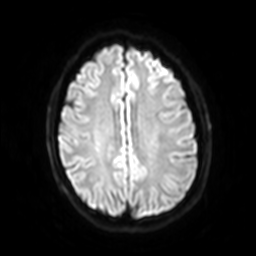
Q: What kind of scan is this?
A: 3 Tesla brain MRI.
Q: Series?
A: Diffusion-weighted imaging with SENSE (WIP).
Study: ring-enhancing brain masses.